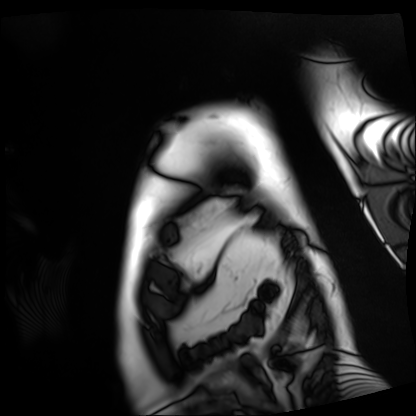
• modality: cardiac MRI
• subject group: patient